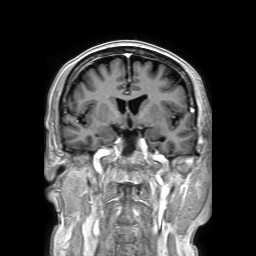
3 Tesla brain MRI. Series: 3D T1-weighted TFE with SENSE. Study: ring-enhancing brain masses.